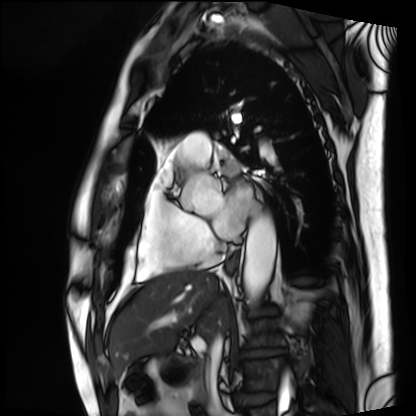
Cardiac MRI.
Subject group: patient.